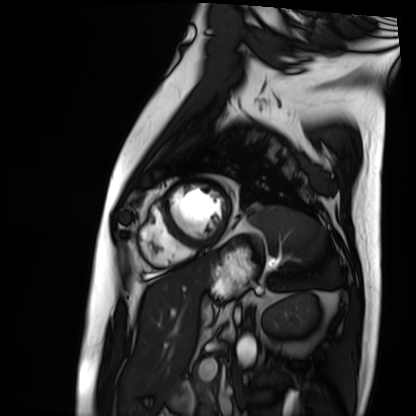
Q: What kind of scan is this?
A: Cardiac MRI.
Subject group: patient.